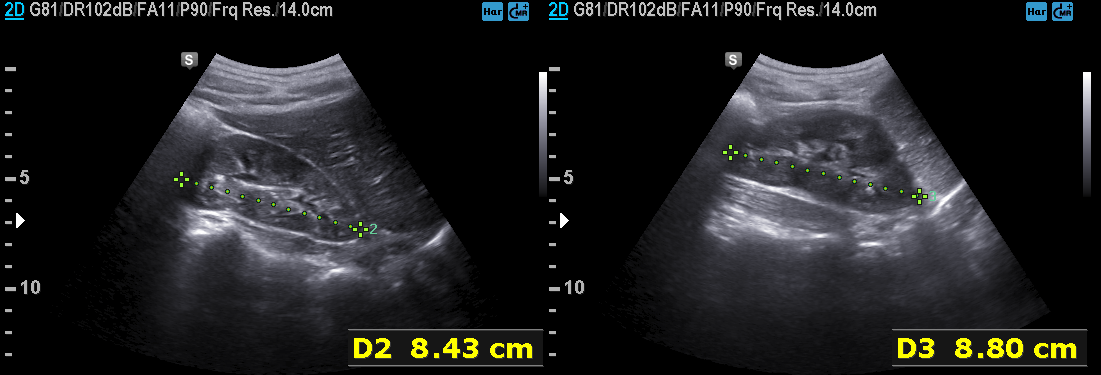
Genitourinary ultrasound.